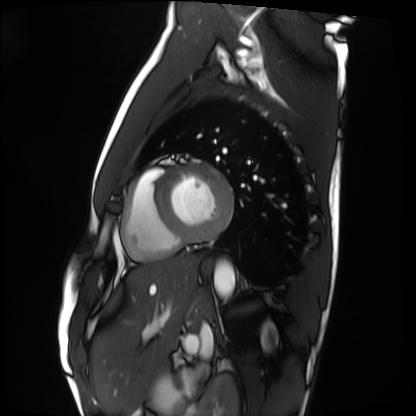
Cardiac MRI. Subject group: healthy volunteer.